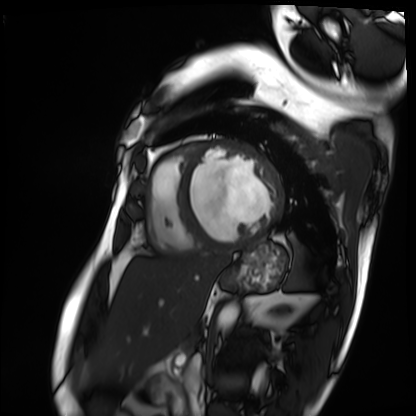
Cardiac MRI. Subject group: patient.